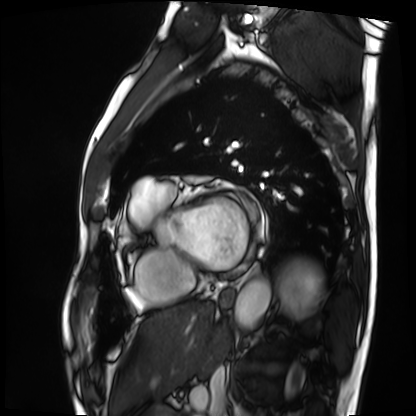
Cardiac MRI. Subject group: patient.